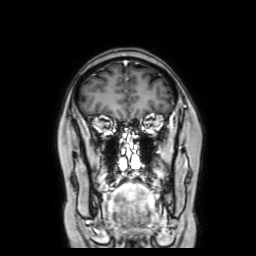
* modality — 3 Tesla brain MRI
* series — coronal with contrast
* study — ring-enhancing brain masses